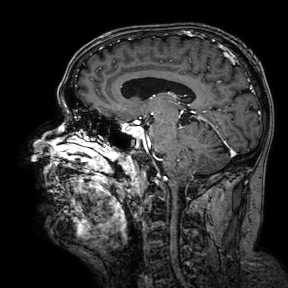
3 Tesla brain MRI. Series: 3D T1-weighted turbo field echo with SENSE. Study: ring-enhancing brain masses.